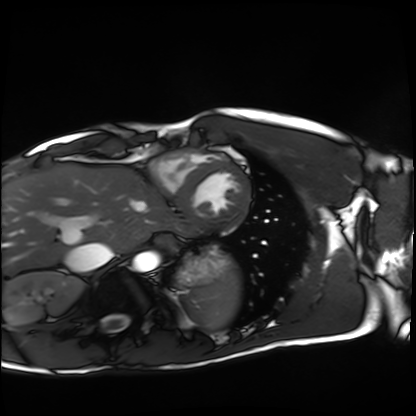
<record>
  <modality>cardiac MRI</modality>
  <cohort>healthy volunteer</cohort>
</record>